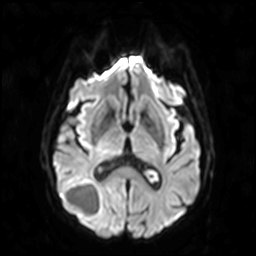
| field | value |
|---|---|
| modality | 3 Tesla brain MRI |
| series | diffusion-weighted imaging |
| study | ring-enhancing brain masses |